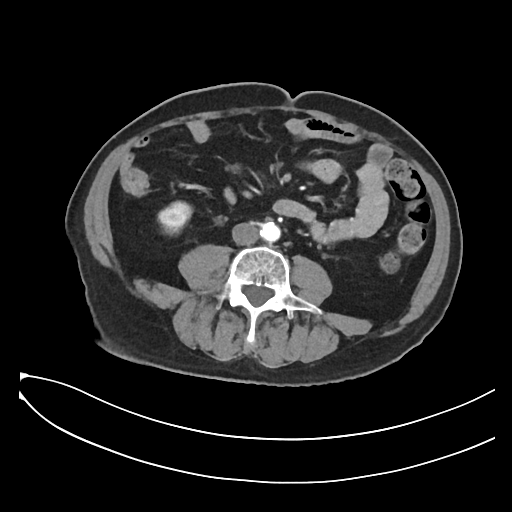
modality = multiphase abdominal CT, liver, arterial phase
patient = male, age 66
history = prior chemotherapy